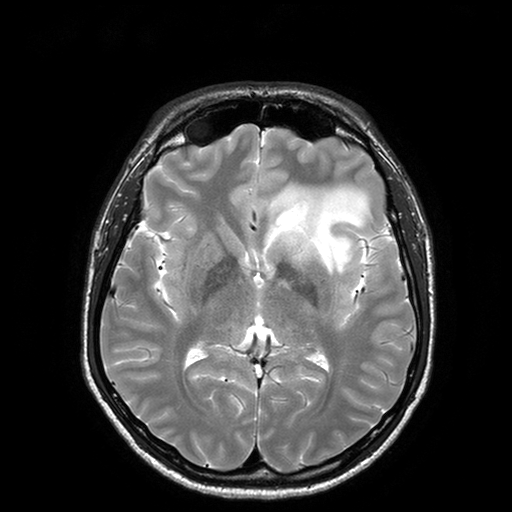
modality:
  type: brain MRI
  field_strength: 3T
series: T2-weighted turbo spin echo with SENSE
study_topic: ring-enhancing brain masses